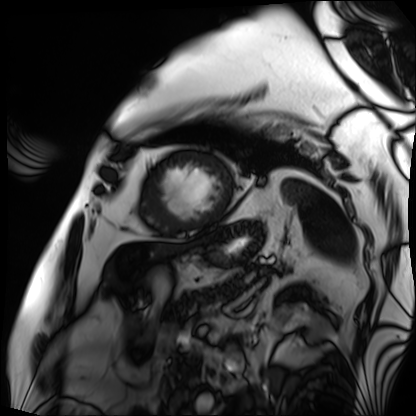
modality = cardiac MRI, subject group = patient.